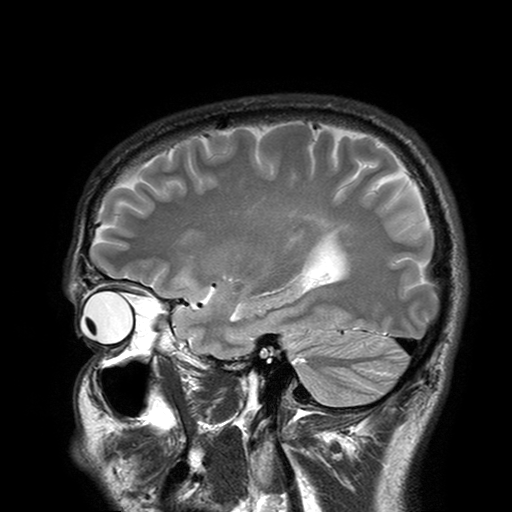
Summary: 3 Tesla brain MRI. Series: T2-weighted turbo spin echo with SENSE. Study: ring-enhancing brain masses.